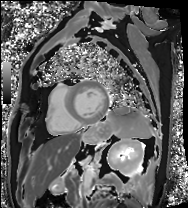
Q: What kind of scan is this?
A: Cardiac MRI.
Subject group: patient.